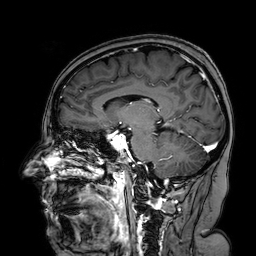
3 Tesla brain MRI. Study: ring-enhancing brain masses.